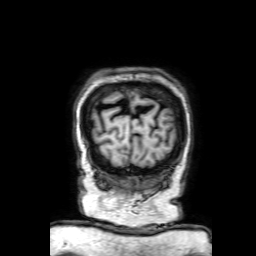
3 Tesla brain MRI. Series: 3D T1-weighted with SENSE. Study: ring-enhancing brain masses.